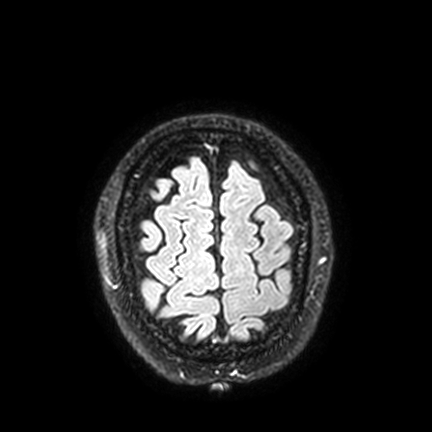
Case summary:
3 Tesla brain MRI. Study: ring-enhancing brain masses.